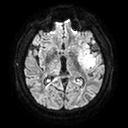
3 Tesla brain MRI.
Series: diffusion tensor imaging (medium iso).
Study: ring-enhancing brain masses.